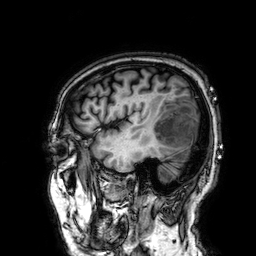
3 Tesla brain MRI.
Study: ring-enhancing brain masses.